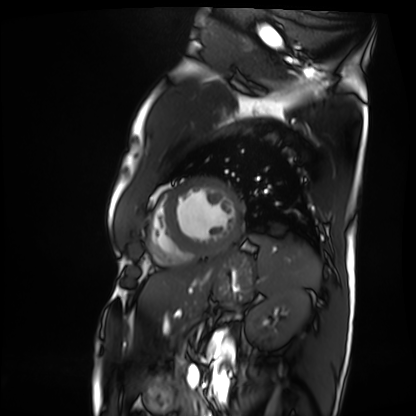
{"modality": "cardiac MRI", "cohort": "patient"}